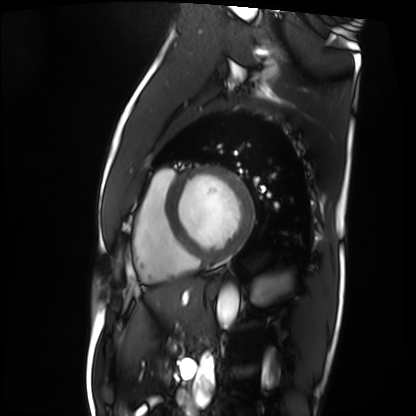
• modality: cardiac MRI
• subject group: patient